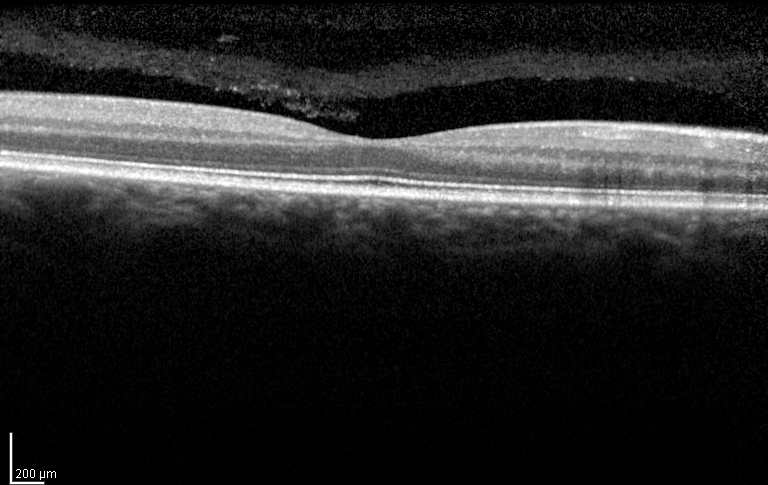
Clinical context:
Spectral-domain optical coherence tomography (SD-OCT) of the macula. Subject: male, age 46, right eye. Cohort: diabetic subject. ETDRS-grid retinal thickness (μm): central 258, inner temporal 304, inner nasal 312, inner superior 317, inner inferior 310, outer temporal 286, outer nasal 293, outer superior 289, outer inferior 276.